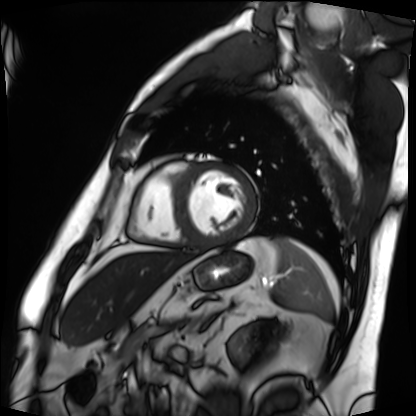
Case:
- modality · cardiac MRI
- subject group · patient